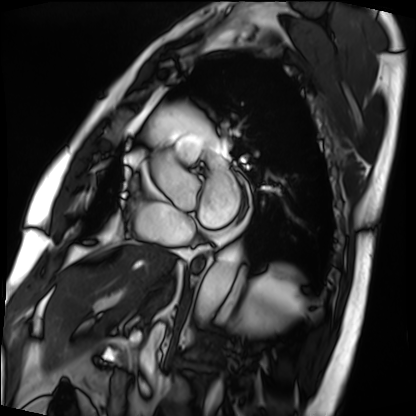
{
  "modality": "cardiac MRI",
  "cohort": "patient"
}